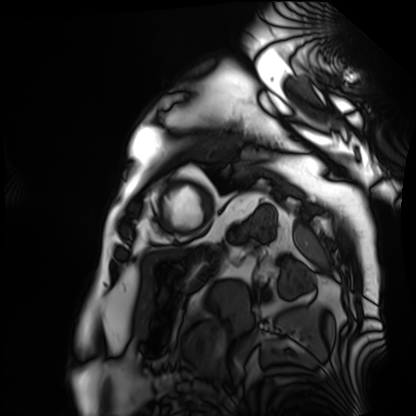
Summary:
Cardiac MRI. Subject group: patient.